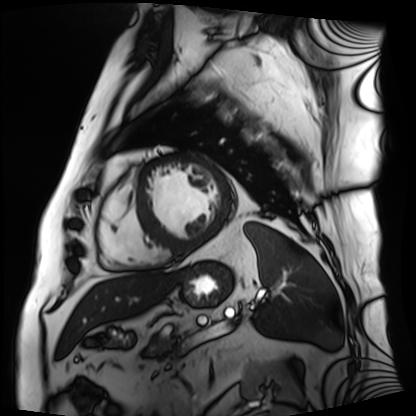
{
  "modality": "cardiac MRI",
  "cohort": "patient"
}